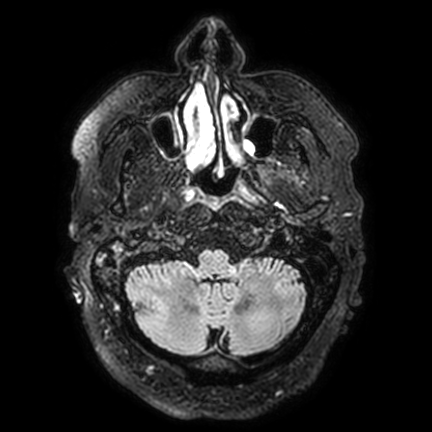
<record>
<modality>
  <type>brain MRI</type>
  <field_strength>3T</field_strength>
</modality>
<series>FLAIR VISTA with SENSE</series>
<study_topic>ring-enhancing brain masses</study_topic>
</record>